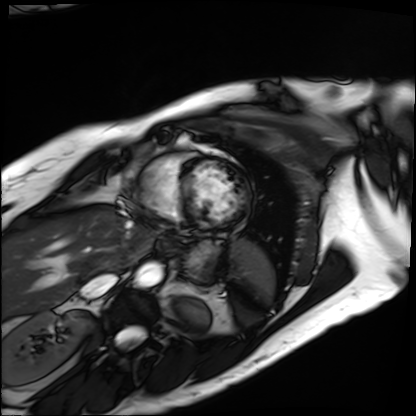
  modality: cardiac MRI
  cohort: patient